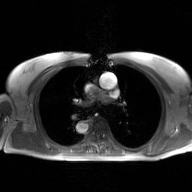
{
  "modality": {
    "type": "2D phase-contrast cine MRI",
    "region": "ascending aorta",
    "reconstruction": "GAN super-resolution reconstruction"
  }
}